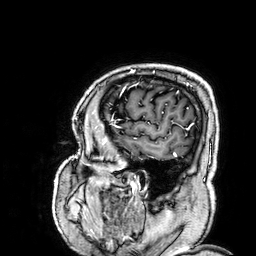
3 Tesla brain MRI. Series: 3D T1-weighted. Study: ring-enhancing brain masses.